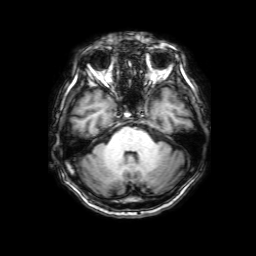
modality: 3 Tesla brain MRI
series: 3D T1-weighted with SENSE
study: ring-enhancing brain masses